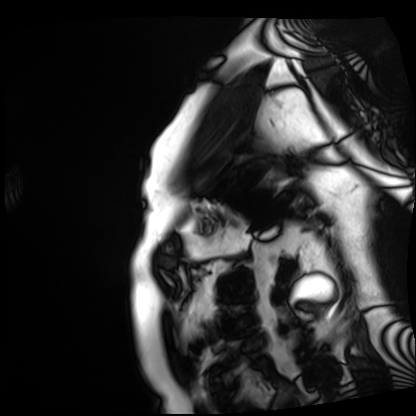
Cardiac MRI. Subject group: patient.